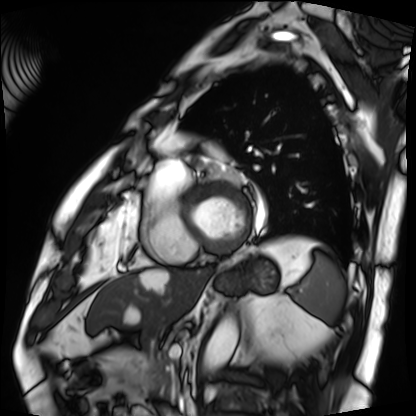
modality: cardiac MRI
subject group: patient